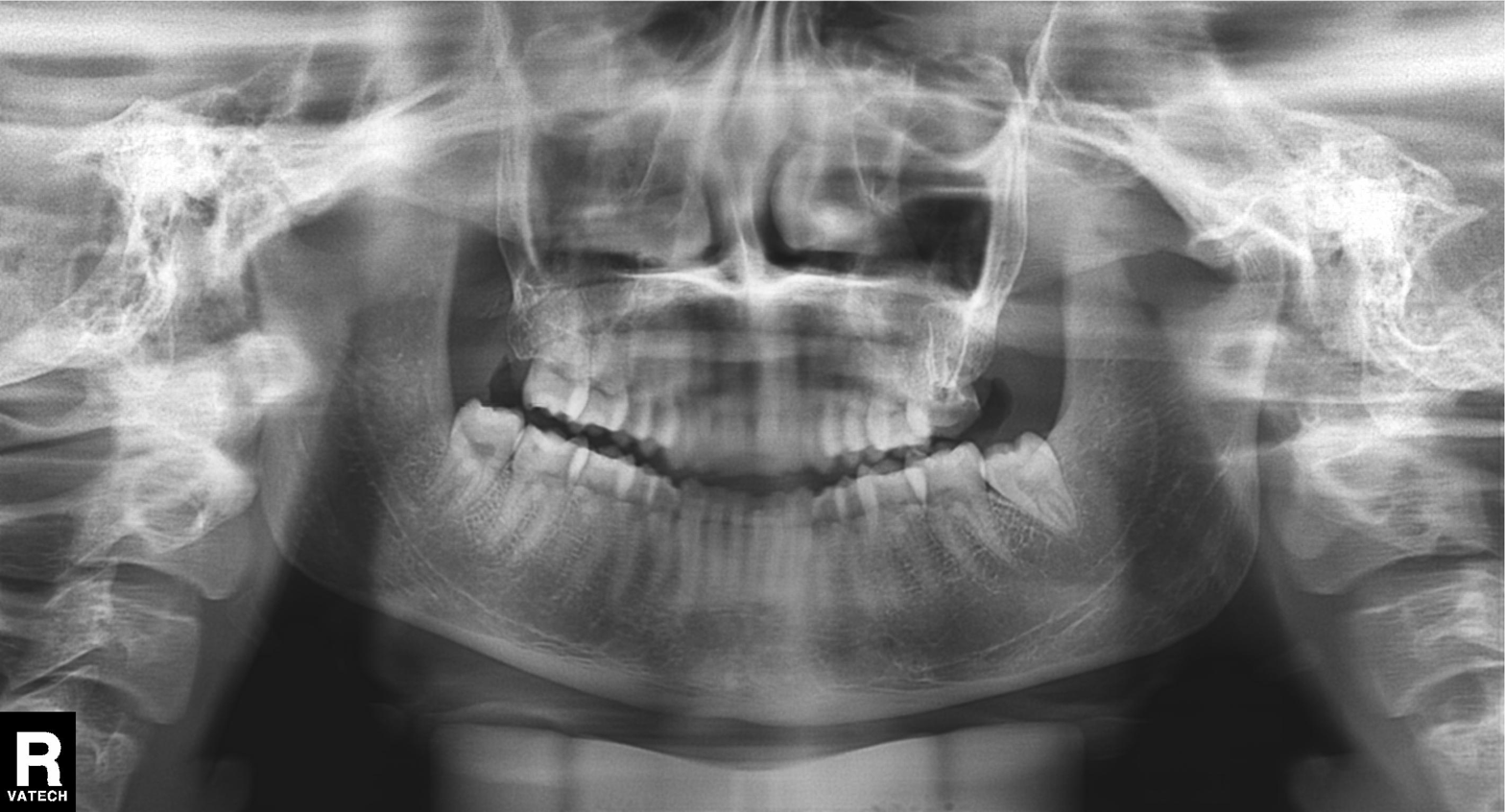
Panoramic dental radiograph (orthopantomogram).
Finding: alveolar bone loss.